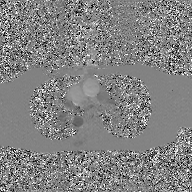
modality: 2D phase-contrast cine MRI of the ascending aorta, GAN super-resolution reconstruction.